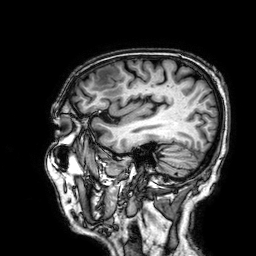
3 Tesla brain MRI.
Series: 3D T1-weighted.
Study: ring-enhancing brain masses.